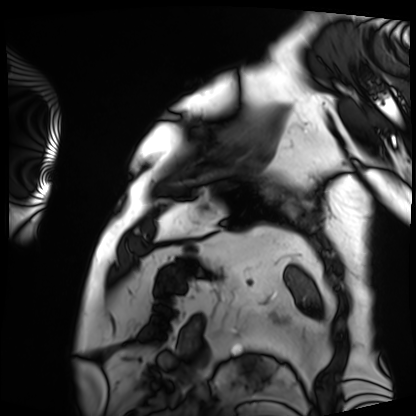
{
  "modality": "cardiac MRI",
  "cohort": "patient"
}